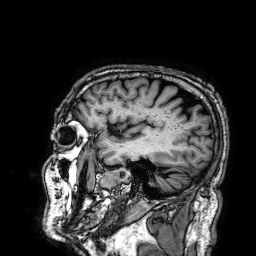
Summary:
3 Tesla brain MRI. Series: 3D T1-weighted. Study: ring-enhancing brain masses.